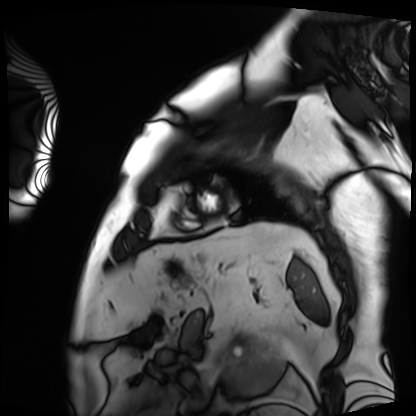
modality: cardiac MRI; subject group: patient.